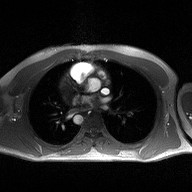
modality: 2D phase-contrast cine MRI of the ascending aorta.